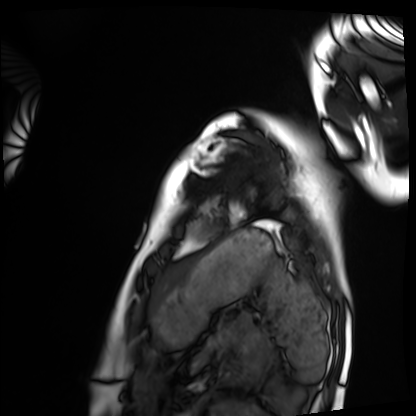
– modality — cardiac MRI
– subject group — healthy volunteer